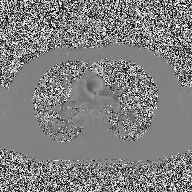
modality: 2D phase-contrast cine MRI of the ascending aorta